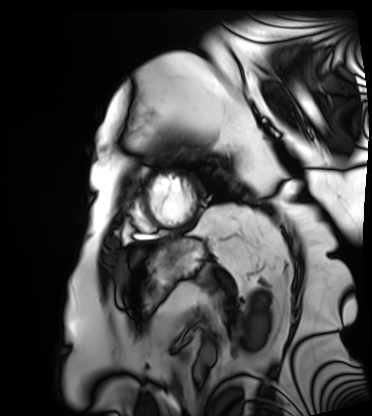
Cardiac MRI.
Subject group: patient.